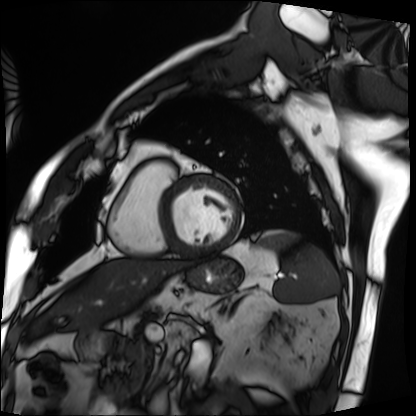
Q: What kind of scan is this?
A: Cardiac MRI.
Subject group: patient.